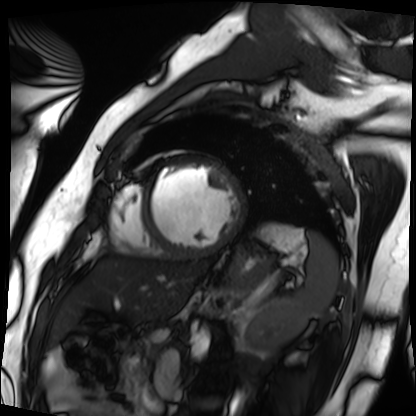
Cardiac MRI. Subject group: patient.